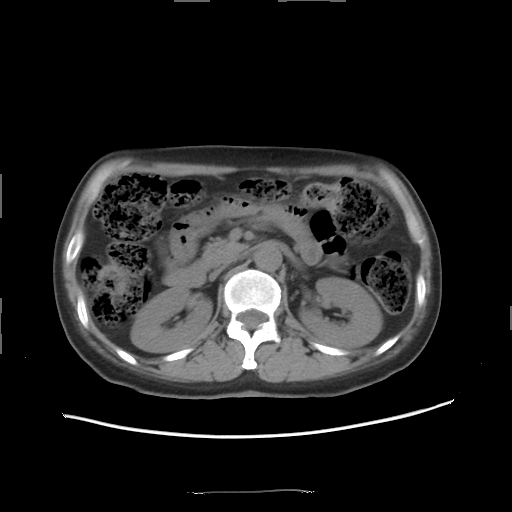
modality: multiphase abdominal CT, liver, non-contrast phase; patient: female, age 53.